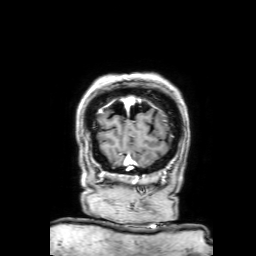
* modality · 3 Tesla brain MRI
* series · 3D T1-weighted with SENSE
* study · ring-enhancing brain masses